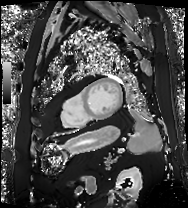
Case summary: Cardiac MRI. Subject group: patient.